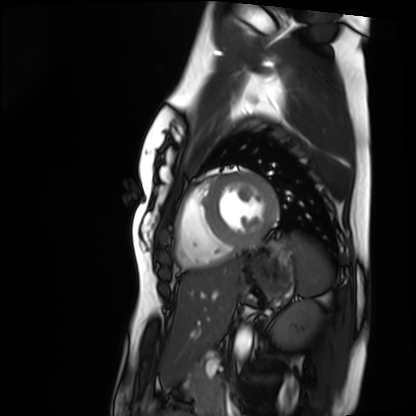
Summary:
Cardiac MRI. Subject group: healthy volunteer.